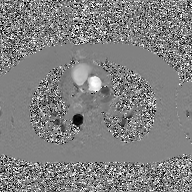
2D phase-contrast cine MRI of the ascending aorta, GAN super-resolution reconstruction.